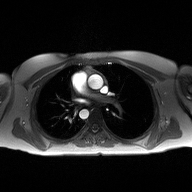
2D phase-contrast cine MRI of the ascending aorta, high-resolution GRAPPA acquisition.